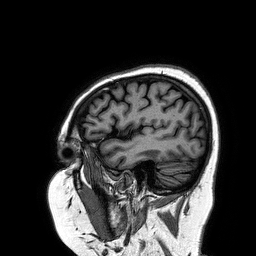
Case summary: 3 Tesla brain MRI. Series: 3D T1-weighted turbo field echo. Study: ring-enhancing brain masses.